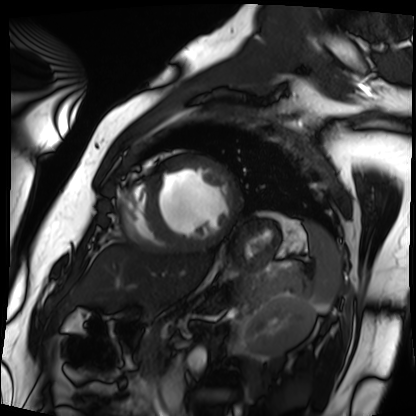
- modality — cardiac MRI
- subject group — patient